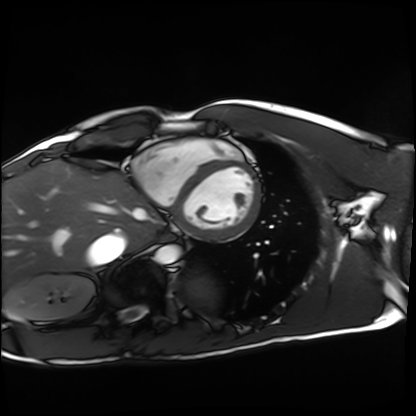
| field | value |
|---|---|
| modality | cardiac MRI |
| subject group | healthy volunteer |